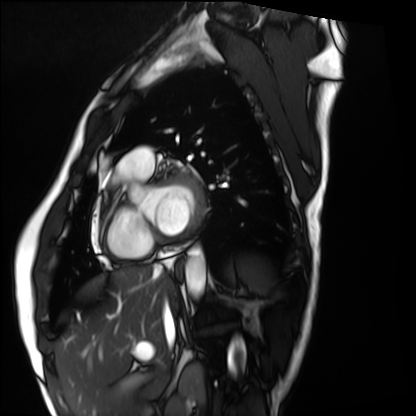
modality = cardiac MRI | subject group = healthy volunteer.